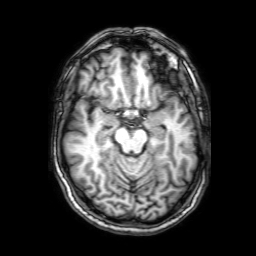
3 Tesla brain MRI.
Series: 3D T1-weighted with SENSE.
Study: ring-enhancing brain masses.